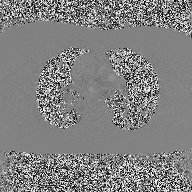
2D phase-contrast cine MRI of the ascending aorta, high-resolution GRAPPA acquisition.